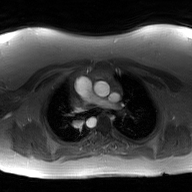
2D phase-contrast cine MRI of the ascending aorta, GAN super-resolution reconstruction.